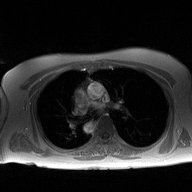
2D phase-contrast cine MRI of the ascending aorta, high-resolution GRAPPA acquisition.